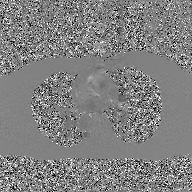
  modality:
    type: 2D phase-contrast cine MRI
    region: ascending aorta
    reconstruction: GAN super-resolution reconstruction